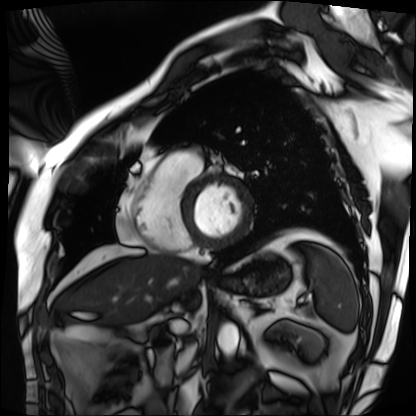
Cardiac MRI. Subject group: patient.